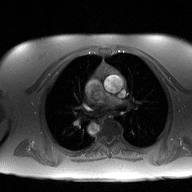
Summary: 2D phase-contrast cine MRI of the ascending aorta, high-resolution GRAPPA acquisition.